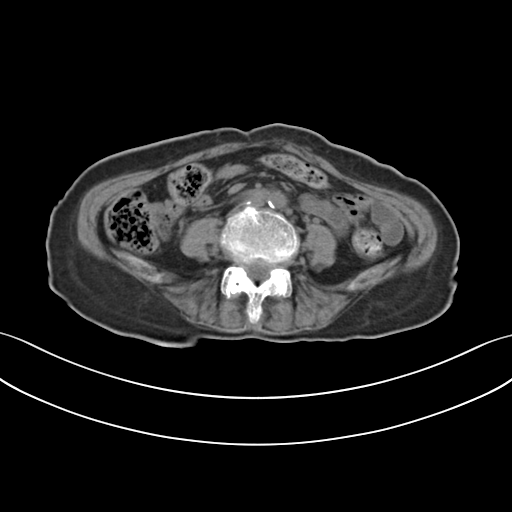
{"modality": {"type": "multiphase abdominal CT", "region": "liver", "phase": "non-contrast"}, "patient": {"sex": "female", "age": 70}, "history": ["prior chemotherapy"]}